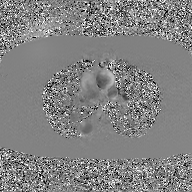
Clinical context: 2D phase-contrast cine MRI of the ascending aorta, GAN super-resolution reconstruction.